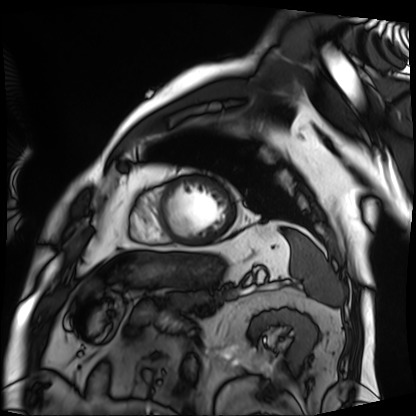
modality: cardiac MRI, subject group: patient.